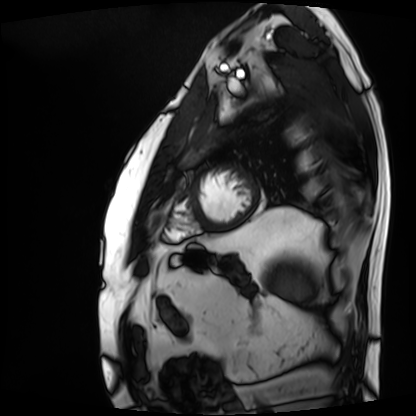
Summary: Cardiac MRI. Subject group: patient.